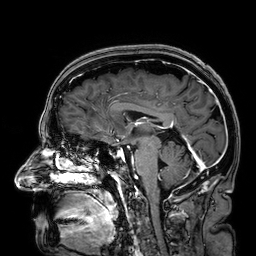
- modality · 3 Tesla brain MRI
- series · 3D T1-weighted
- study · ring-enhancing brain masses